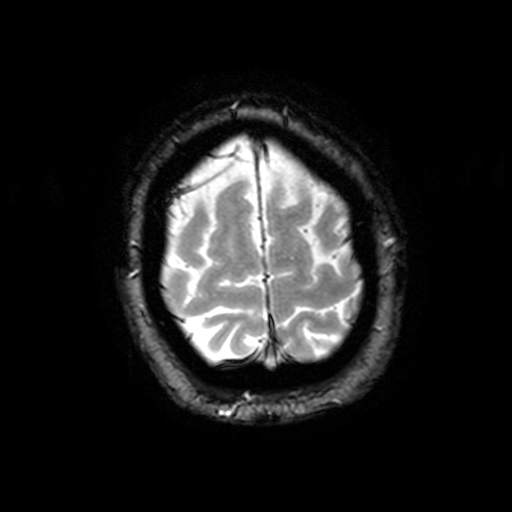
| field | value |
|---|---|
| modality | 3 Tesla brain MRI |
| series | T2-weighted fast field echo with SENSE |
| study | ring-enhancing brain masses |